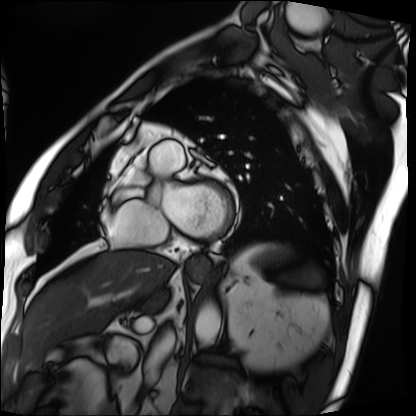
modality: cardiac MRI
cohort: patient